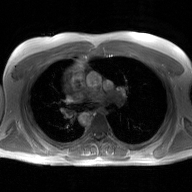
modality — 2D phase-contrast cine MRI of the ascending aorta, GAN super-resolution reconstruction.